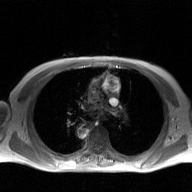
Clinical context:
2D phase-contrast cine MRI of the ascending aorta, GAN super-resolution reconstruction.